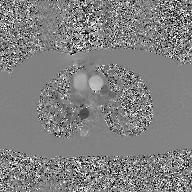
2D phase-contrast cine MRI of the ascending aorta, GAN super-resolution reconstruction.